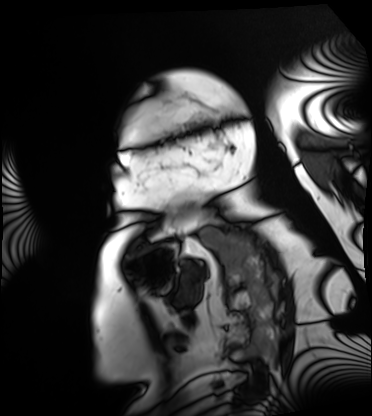
modality=cardiac MRI | subject group=patient.